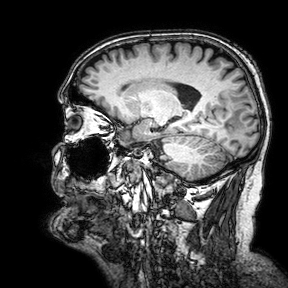
modality:
  type: brain MRI
  field_strength: 3T
study_topic: ring-enhancing brain masses